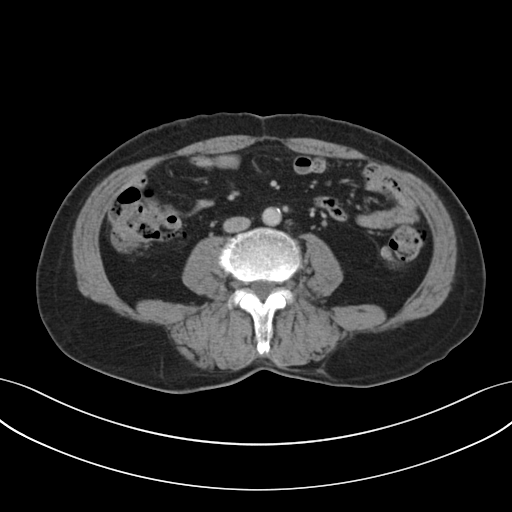
| field | value |
|---|---|
| modality | multiphase abdominal CT, liver, portal venous phase |
| patient | male, age 72 |